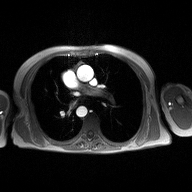
2D phase-contrast cine MRI of the ascending aorta, high-resolution GRAPPA acquisition.